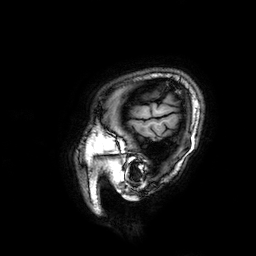
Summary:
3 Tesla brain MRI. Study: ring-enhancing brain masses.